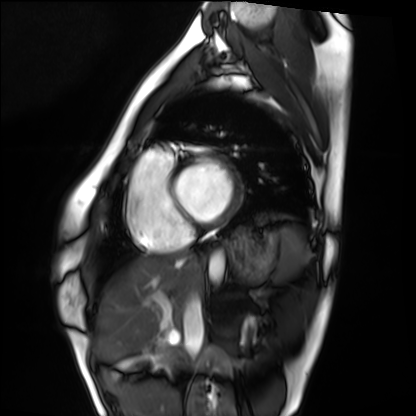
modality = cardiac MRI | subject group = healthy volunteer.